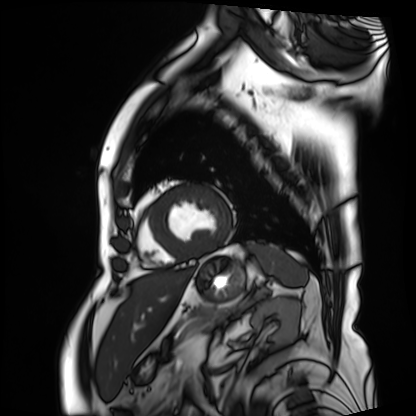
Cardiac MRI.
Subject group: patient.